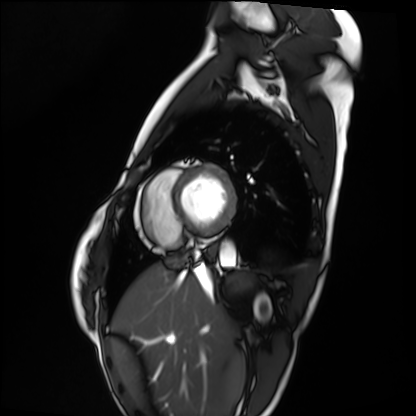
Cardiac MRI.
Subject group: healthy volunteer.